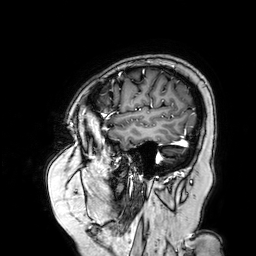
3 Tesla brain MRI. Series: 3D T1-weighted turbo field echo with SENSE. Study: ring-enhancing brain masses.